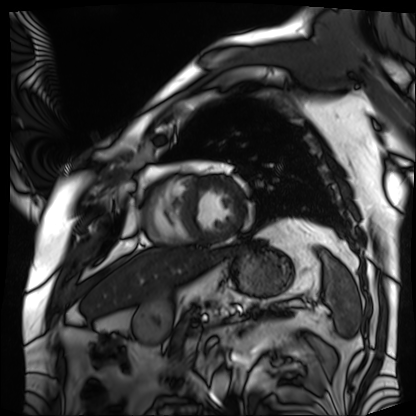
Summary:
Cardiac MRI. Subject group: patient.